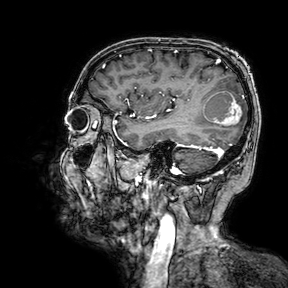
modality = 3 Tesla brain MRI; series = 3D T1-weighted turbo field echo with SENSE; study = ring-enhancing brain masses.